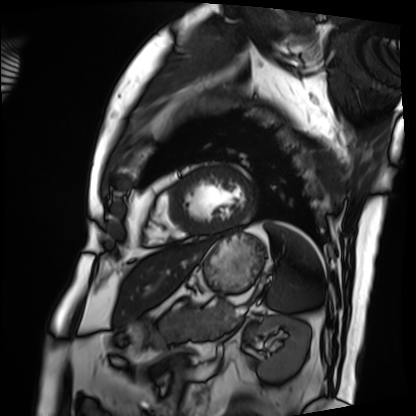
Case summary:
Cardiac MRI. Subject group: patient.